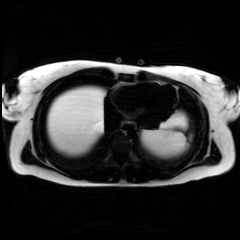
Chemical-shift-encoded cardiac MRI.